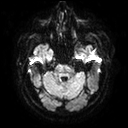
Summary:
3 Tesla brain MRI. Series: diffusion tensor imaging (medium iso). Study: ring-enhancing brain masses.